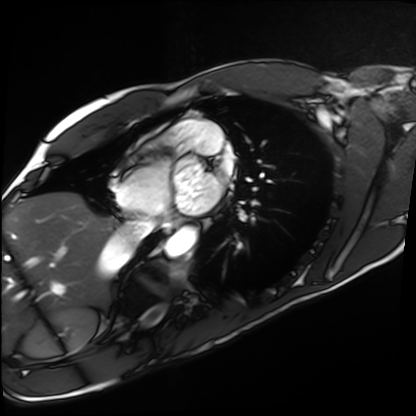
modality = cardiac MRI
subject group = healthy volunteer